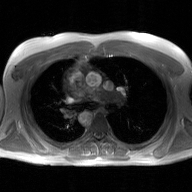
<scan>
  <modality>
    <type>2D phase-contrast cine MRI</type>
    <region>ascending aorta</region>
    <reconstruction>GAN super-resolution reconstruction</reconstruction>
  </modality>
</scan>